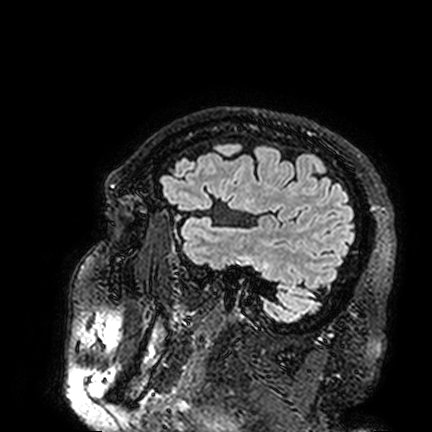
Summary: 3 Tesla brain MRI. Series: FLAIR VISTA. Study: ring-enhancing brain masses.